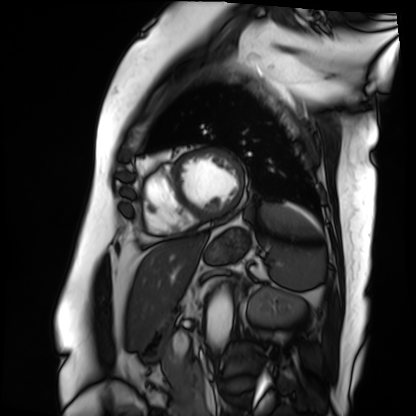
Q: What kind of scan is this?
A: Cardiac MRI.
Subject group: patient.